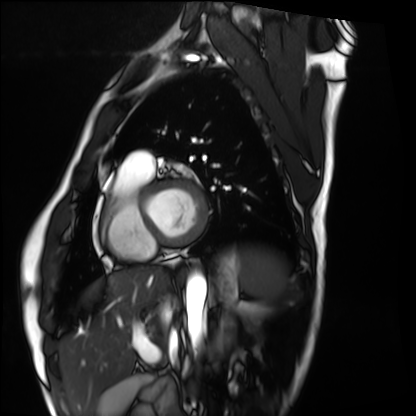
Cardiac MRI. Subject group: healthy volunteer.